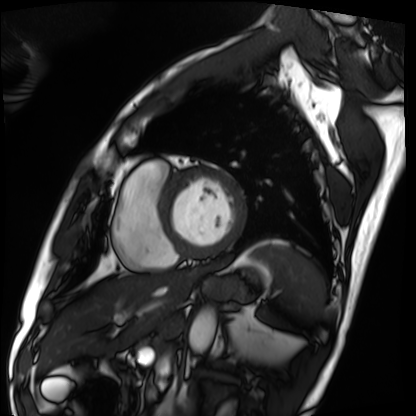
Cardiac MRI. Subject group: patient.